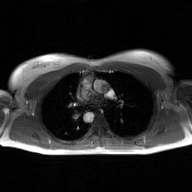
2D phase-contrast cine MRI of the ascending aorta, GAN super-resolution reconstruction.